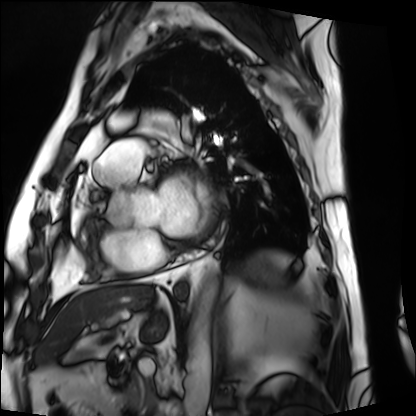
Cardiac MRI.
Subject group: patient.